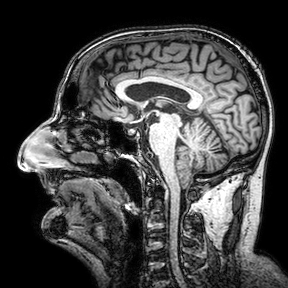
Q: What kind of scan is this?
A: 3 Tesla brain MRI.
Q: Series?
A: 3D T1-weighted turbo field echo with SENSE.
Study: ring-enhancing brain masses.